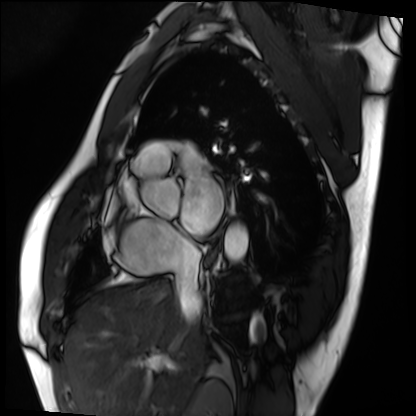
- modality: cardiac MRI
- subject group: patient